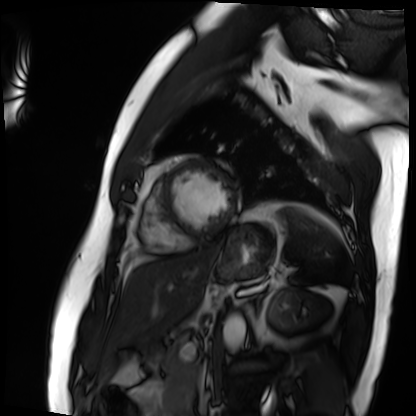
Cardiac MRI. Subject group: patient.